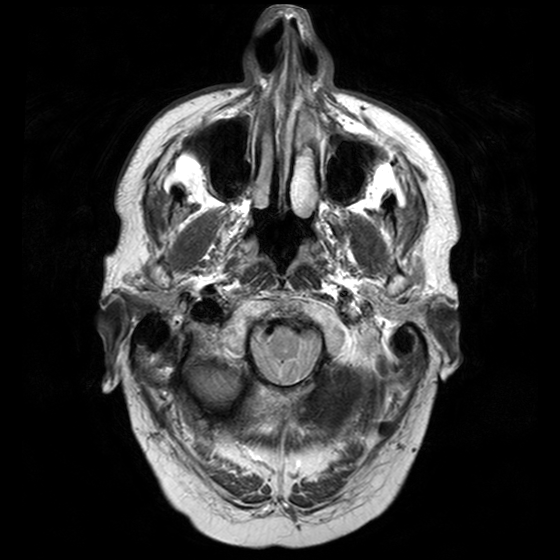
3 Tesla brain MRI.
Series: T2-weighted turbo spin echo with CLEAR.
Study: ring-enhancing brain masses.